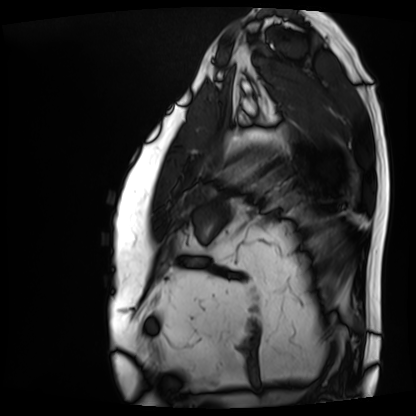
modality: cardiac MRI | subject group: patient.